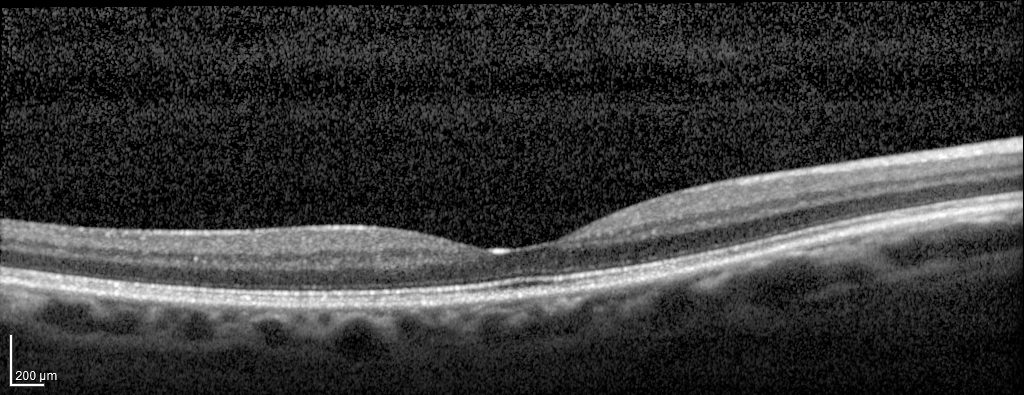
  modality: spectral-domain optical coherence tomography (SD-OCT) of the macula
  cohort: diabetic subject